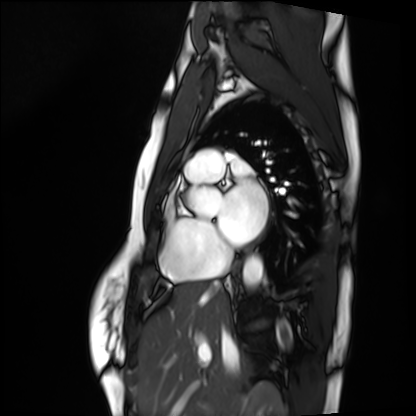
modality: cardiac MRI | subject group: healthy volunteer.